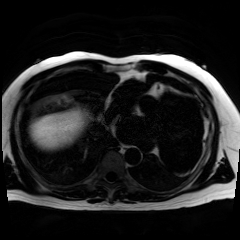
Case summary:
Chemical-shift-encoded cardiac MRI.